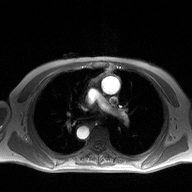
modality: 2D phase-contrast cine MRI of the ascending aorta.